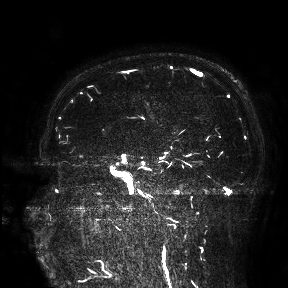
3 Tesla brain MRI.
Study: ring-enhancing brain masses.